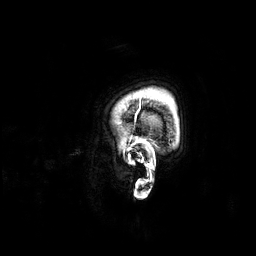
modality: 3 Tesla brain MRI
series: 3D T1-weighted
study: ring-enhancing brain masses